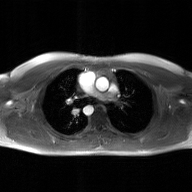
{"modality": {"type": "2D phase-contrast cine MRI", "region": "ascending aorta", "reconstruction": "GAN super-resolution reconstruction"}}